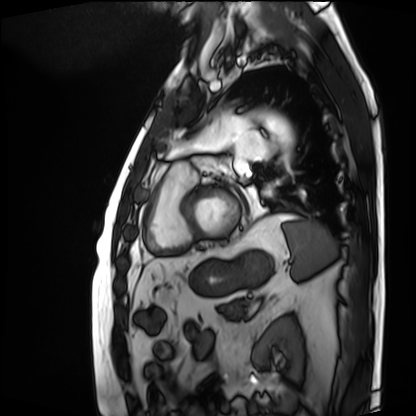
Cardiac MRI.
Subject group: patient.